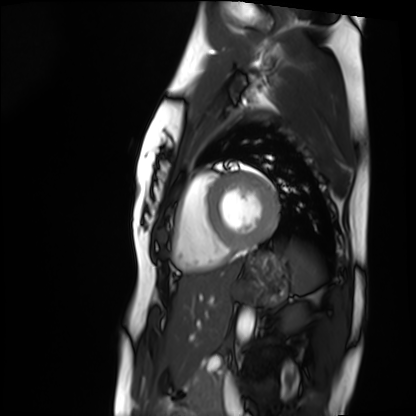
Cardiac MRI.
Subject group: healthy volunteer.